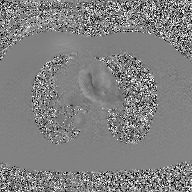
Summary:
2D phase-contrast cine MRI of the ascending aorta, GAN super-resolution reconstruction.